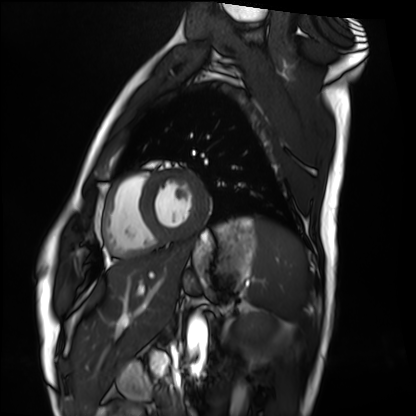
* modality · cardiac MRI
* subject group · healthy volunteer